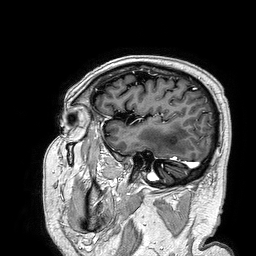
  modality:
    type: brain MRI
    field_strength: 3T
  series: 3D T1-weighted turbo field echo
  study_topic: ring-enhancing brain masses